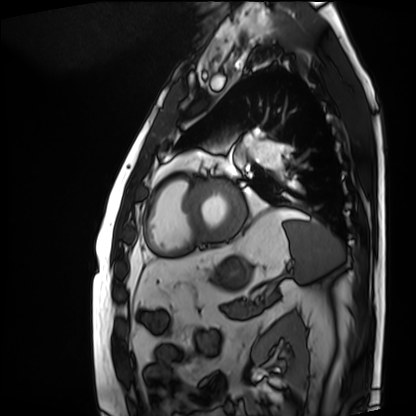
Cardiac MRI. Subject group: patient.